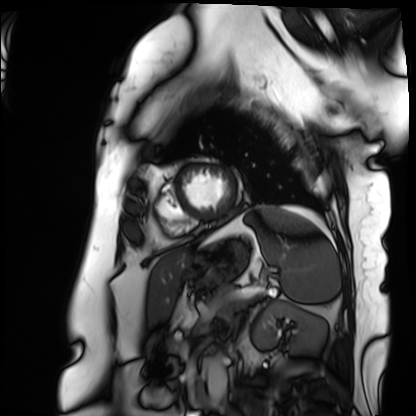
Cardiac MRI.
Subject group: patient.